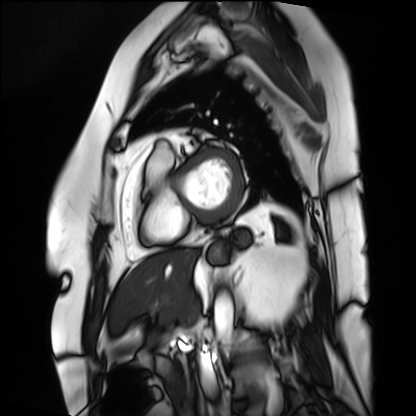
Case summary: Cardiac MRI. Subject group: patient.